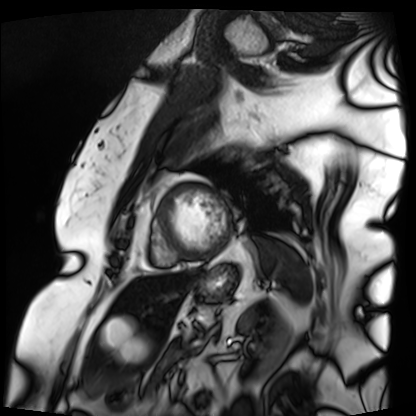
Clinical context: Cardiac MRI. Subject group: patient.